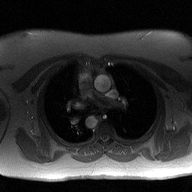
{"modality": {"type": "2D phase-contrast cine MRI", "region": "ascending aorta", "reconstruction": "high-resolution GRAPPA acquisition"}}